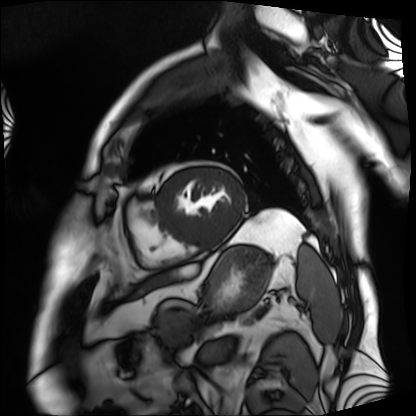
Q: What kind of scan is this?
A: Cardiac MRI.
Subject group: patient.